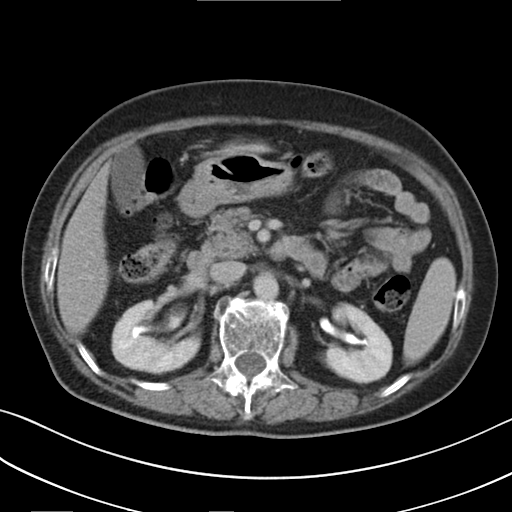
| field | value |
|---|---|
| modality | multiphase abdominal CT, liver, delayed phase |
| patient | female, age 76 |